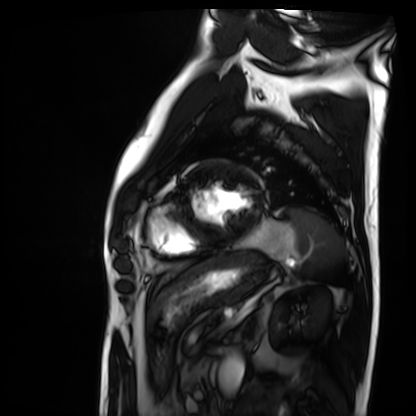
modality: cardiac MRI; subject group: patient.